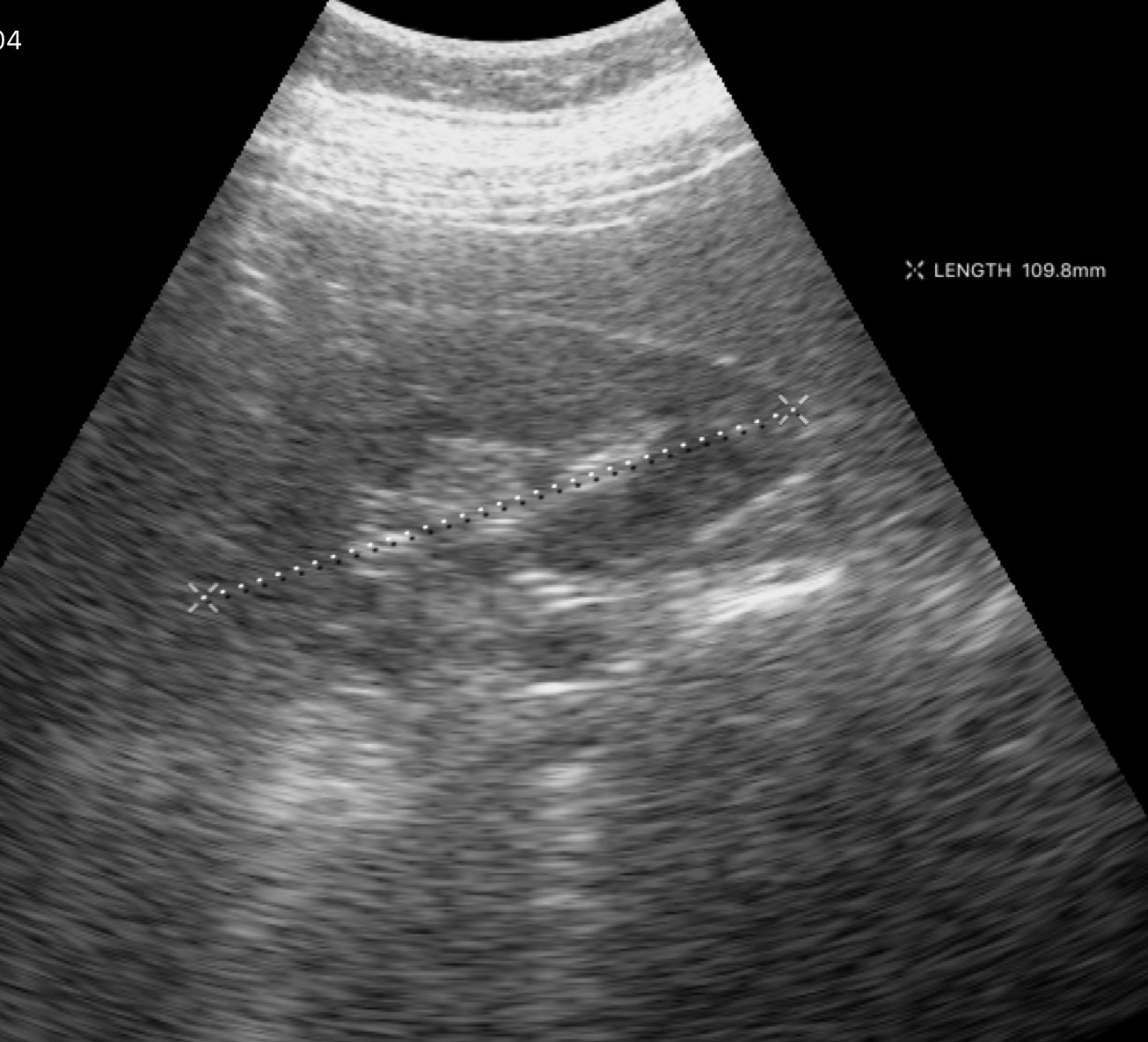
• modality · genitourinary ultrasound